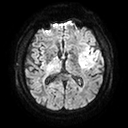
{"modality": {"type": "brain MRI", "field_strength": "3T"}, "series": "diffusion tensor imaging (medium iso)", "study_topic": "ring-enhancing brain masses"}